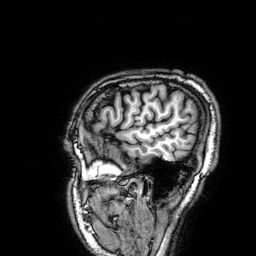
Q: What kind of scan is this?
A: 3 Tesla brain MRI.
Study: ring-enhancing brain masses.